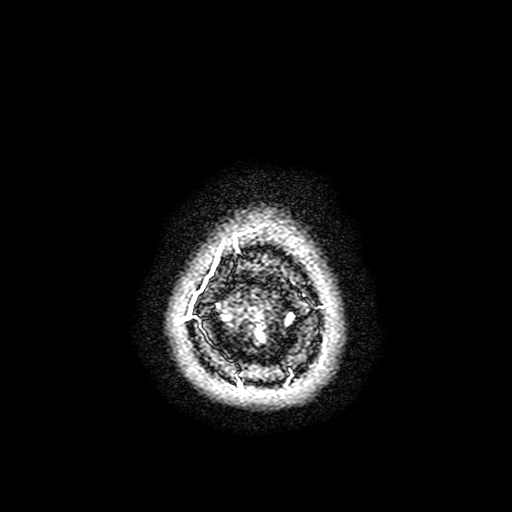
  modality:
    type: brain MRI
    field_strength: 3T
  series: FLAIR with SPAIR, 3 mm
  study_topic: ring-enhancing brain masses